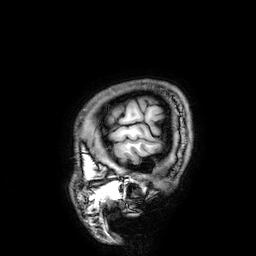
3 Tesla brain MRI.
Series: 3D T1-weighted.
Study: ring-enhancing brain masses.